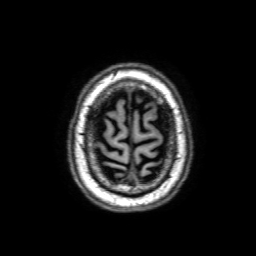
modality:
  type: brain MRI
  field_strength: 3T
series: 3D T1-weighted with SENSE
study_topic: ring-enhancing brain masses